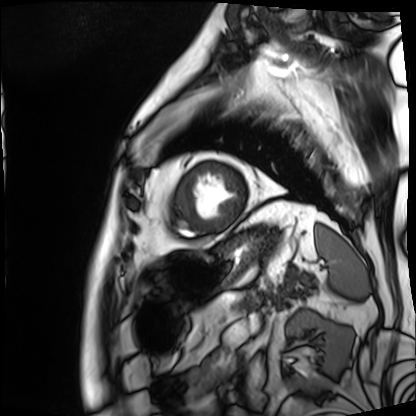
  modality: cardiac MRI
  cohort: patient